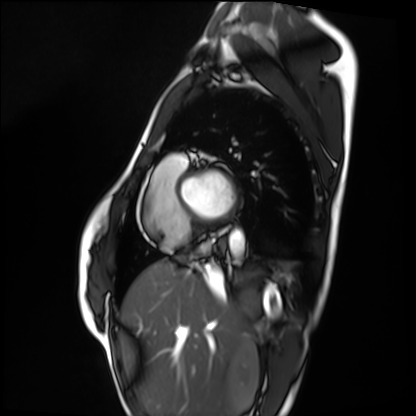
Cardiac MRI.
Subject group: healthy volunteer.